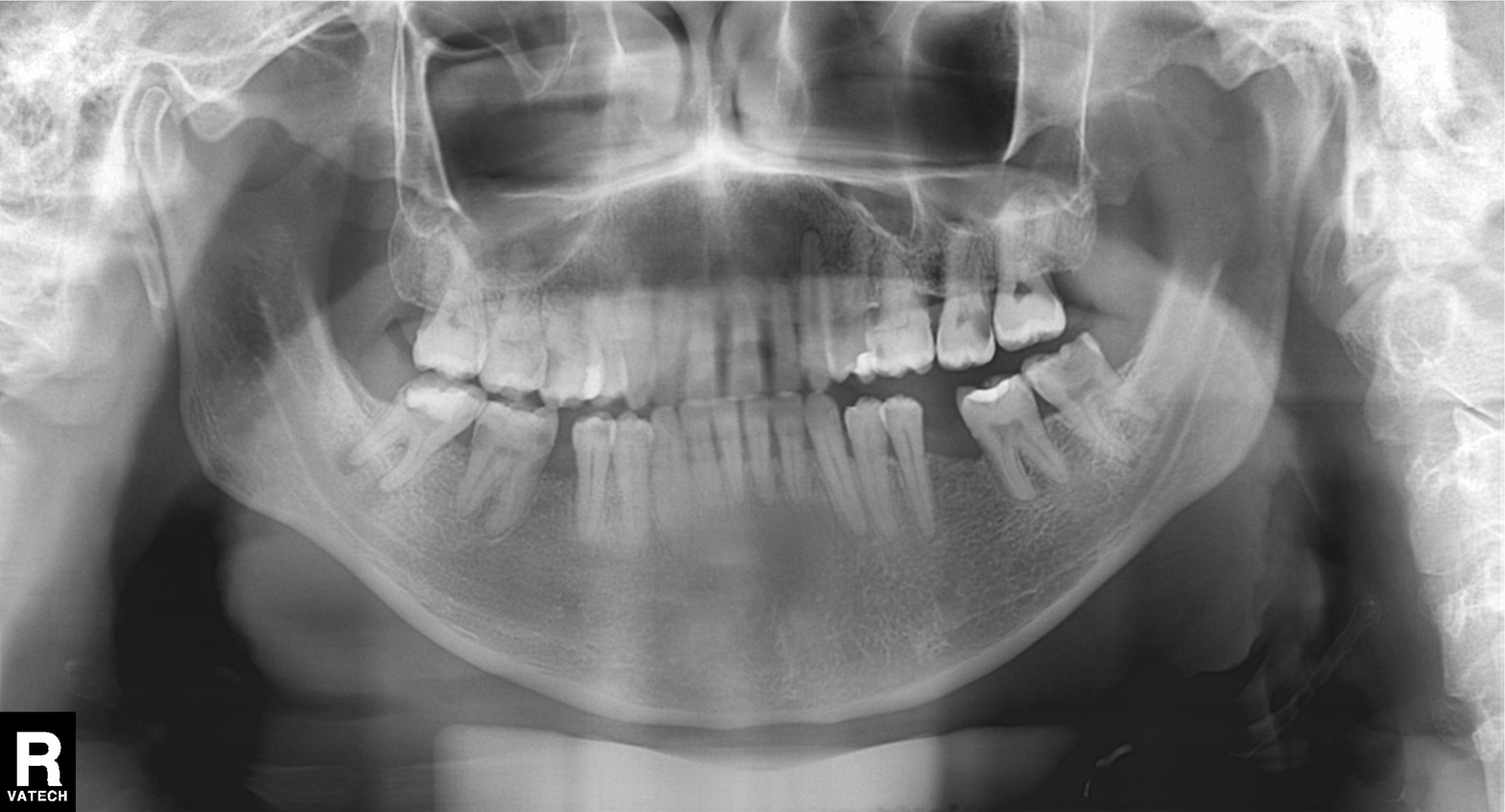
Findings:
• modality: panoramic dental radiograph (orthopantomogram)
• finding: alveolar bone loss